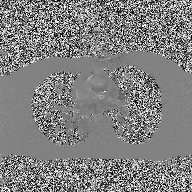
{
  "modality": {
    "type": "2D phase-contrast cine MRI",
    "region": "ascending aorta",
    "reconstruction": "high-resolution GRAPPA acquisition"
  }
}